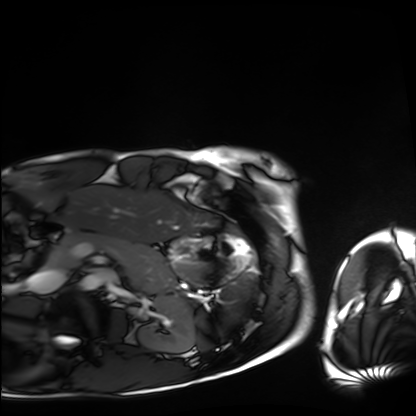
Clinical context:
Cardiac MRI. Subject group: healthy volunteer.